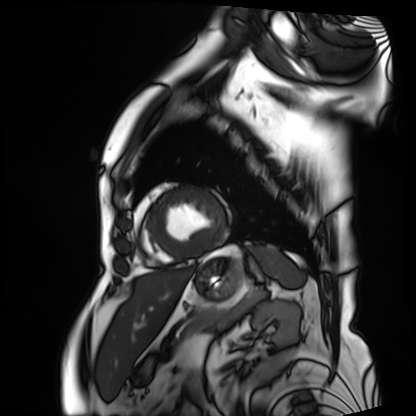
Summary:
Cardiac MRI. Subject group: patient.